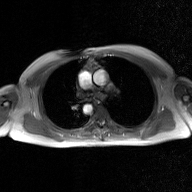
2D phase-contrast cine MRI of the ascending aorta, GAN super-resolution reconstruction.